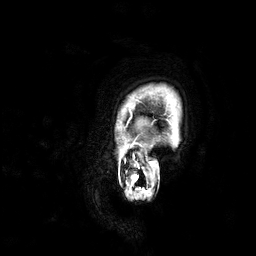
3 Tesla brain MRI. Series: 3D T1-weighted. Study: ring-enhancing brain masses.